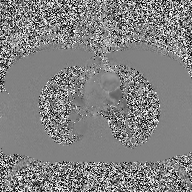
Summary:
2D phase-contrast cine MRI of the ascending aorta, high-resolution GRAPPA acquisition.